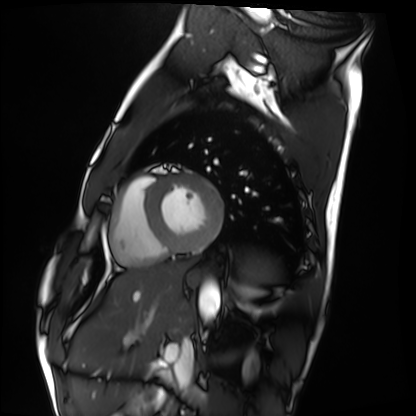
Case summary:
Cardiac MRI. Subject group: healthy volunteer.